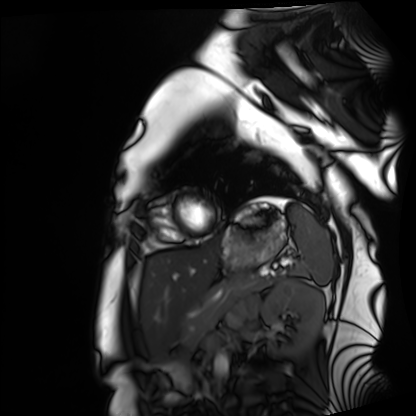
Cardiac MRI. Subject group: healthy volunteer.